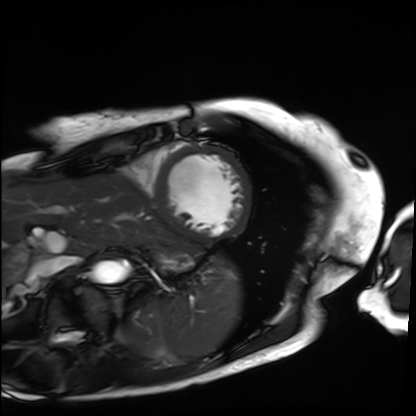
modality: cardiac MRI; subject group: patient.